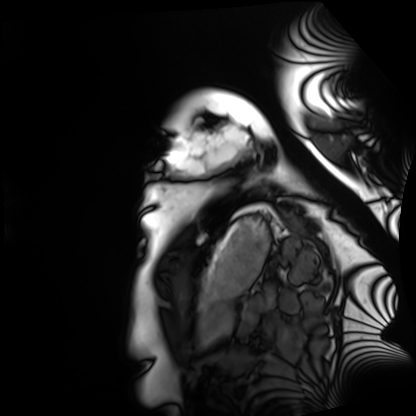
Case summary: Cardiac MRI. Subject group: healthy volunteer.